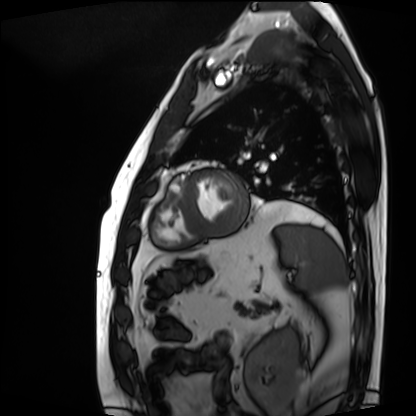
Cardiac MRI. Subject group: patient.